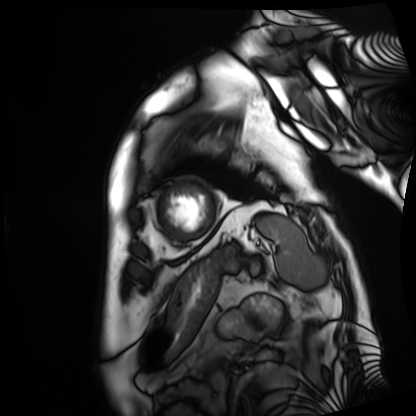
Cardiac MRI.
Subject group: patient.